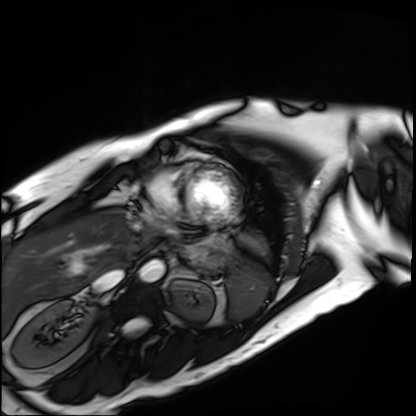
Cardiac MRI.
Subject group: patient.